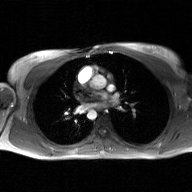
{"modality": {"type": "2D phase-contrast cine MRI", "region": "ascending aorta", "reconstruction": "GAN super-resolution reconstruction"}}